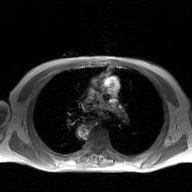
• modality: 2D phase-contrast cine MRI of the ascending aorta, GAN super-resolution reconstruction